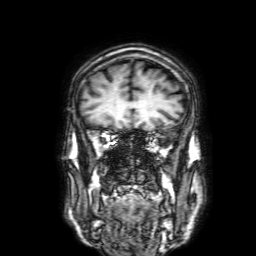
<study>
<modality>
  <type>brain MRI</type>
  <field_strength>3T</field_strength>
</modality>
<study_topic>ring-enhancing brain masses</study_topic>
</study>